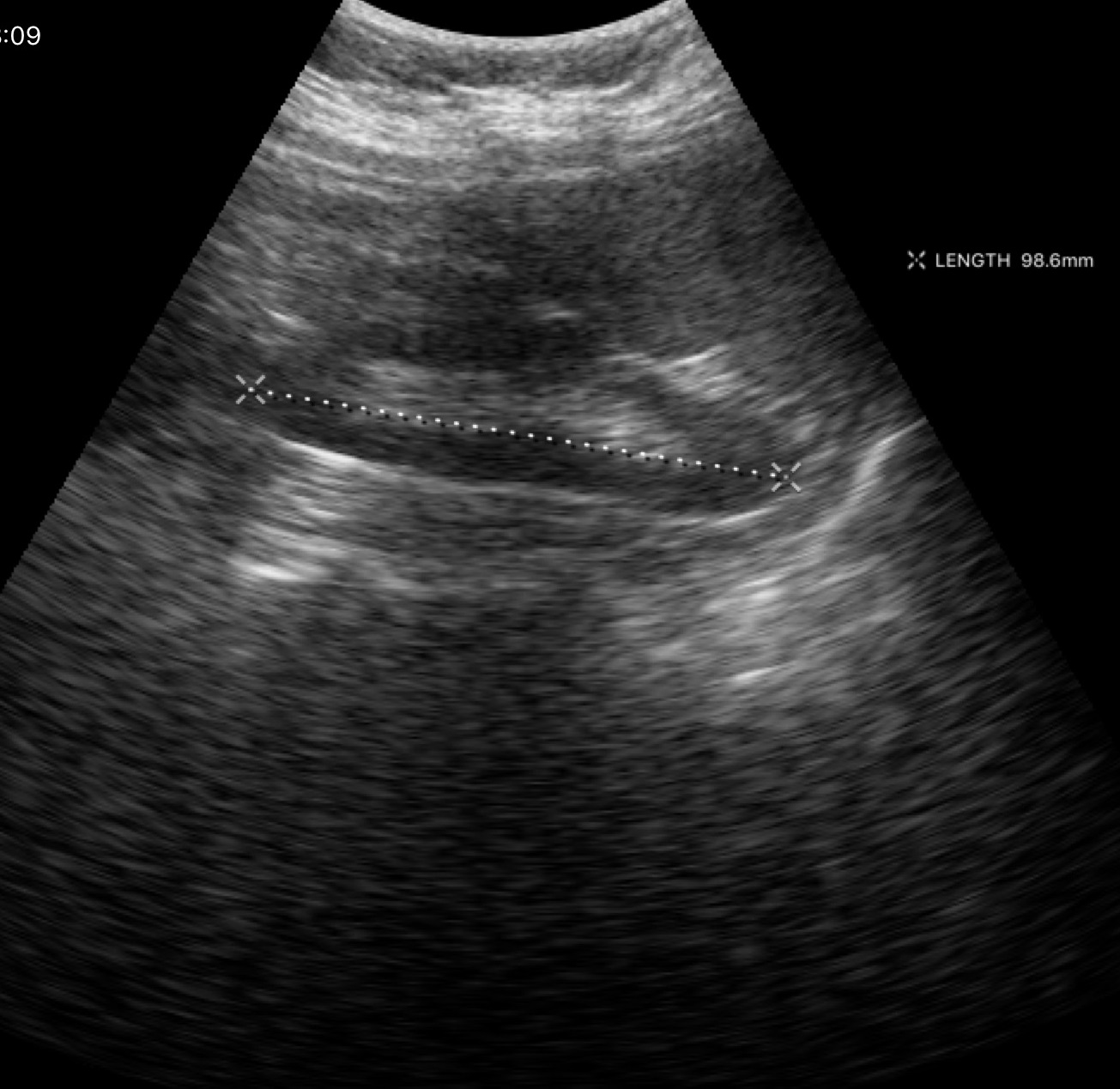
- modality · genitourinary ultrasound